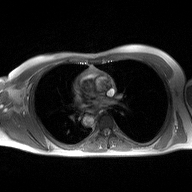
2D phase-contrast cine MRI of the ascending aorta, high-resolution GRAPPA acquisition.